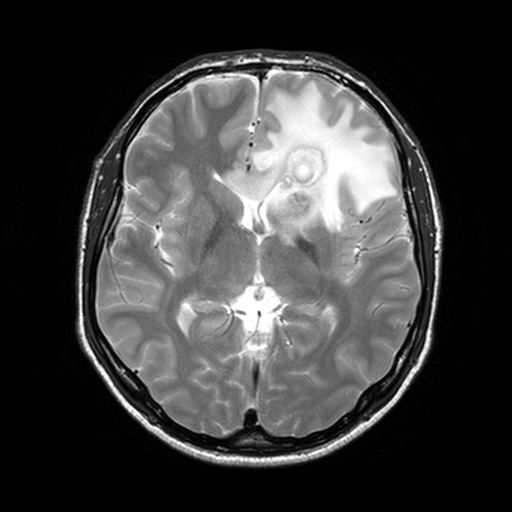
modality — 3 Tesla brain MRI
series — T2-weighted turbo spin echo, 3 mm
study — ring-enhancing brain masses